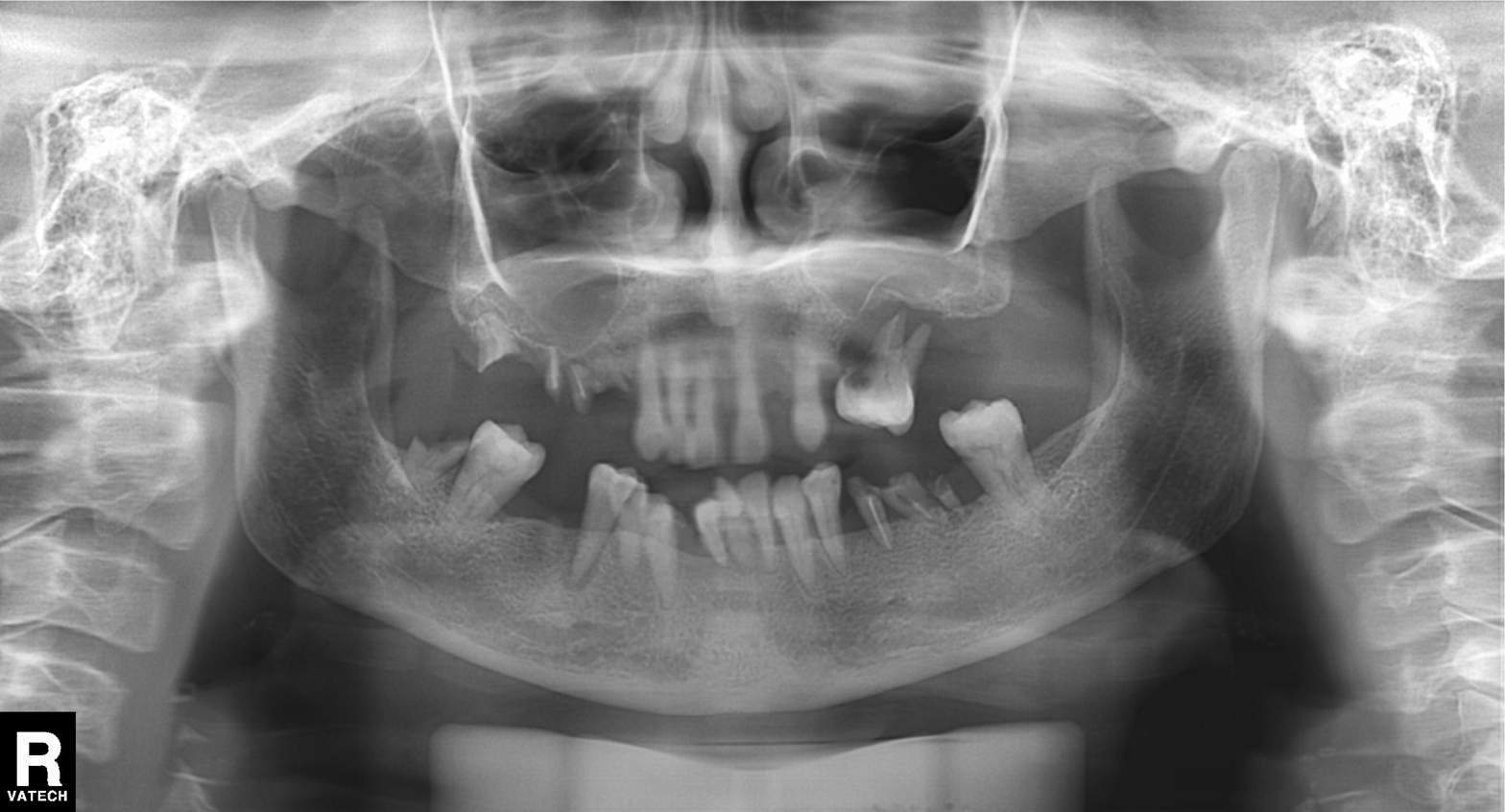
modality: panoramic dental radiograph (orthopantomogram) | finding: dental caries (cavities).